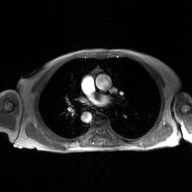
modality: 2D phase-contrast cine MRI of the ascending aorta, GAN super-resolution reconstruction.